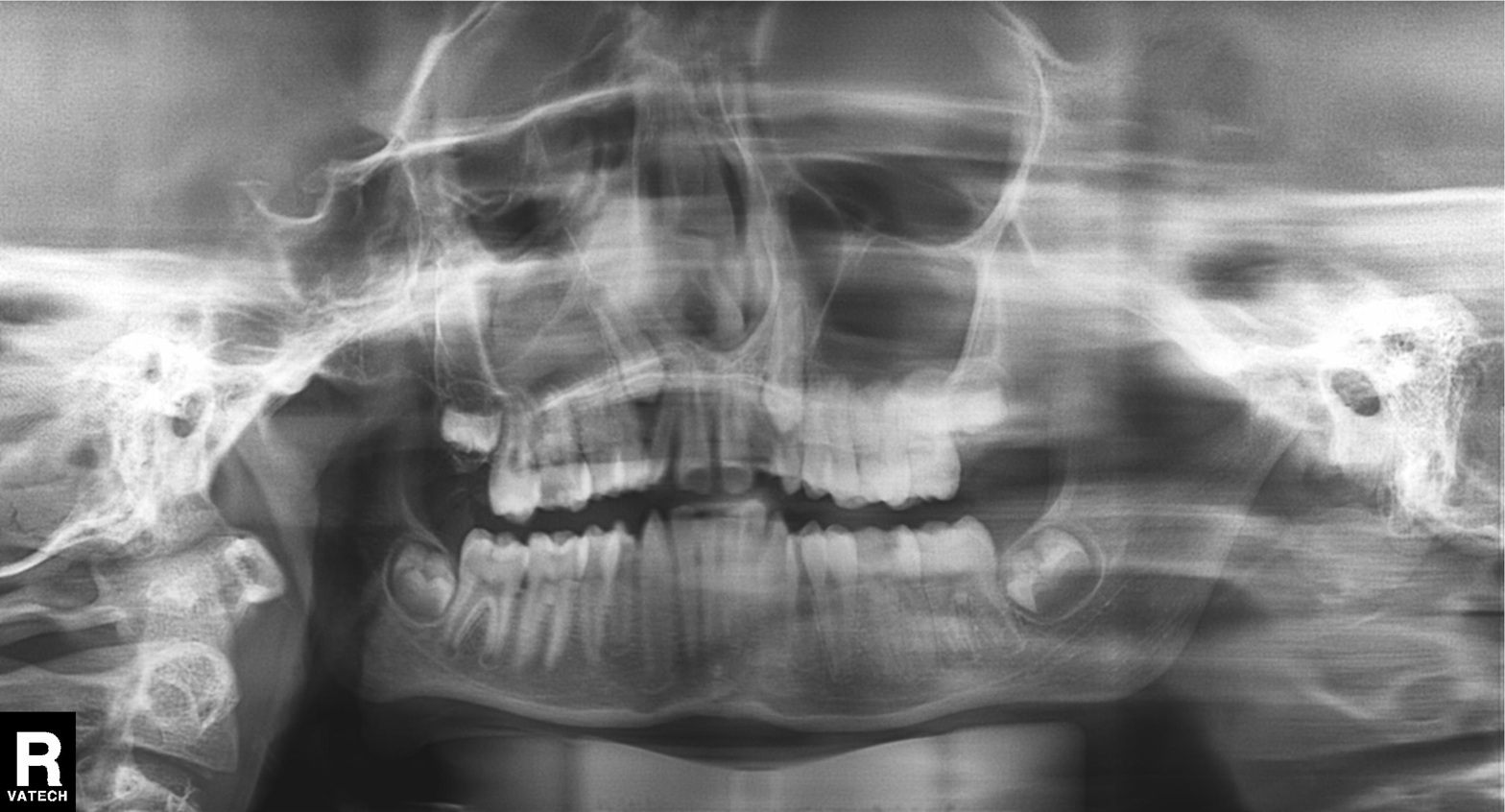
Panoramic dental radiograph (orthopantomogram). Finding: tooth impaction.